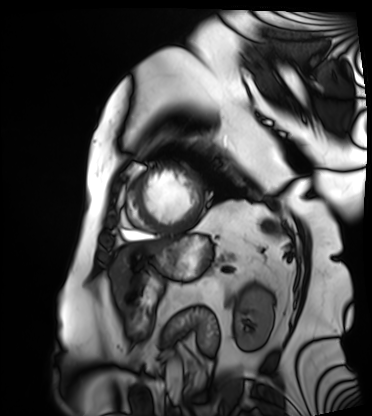
<record>
  <modality>cardiac MRI</modality>
  <cohort>patient</cohort>
</record>